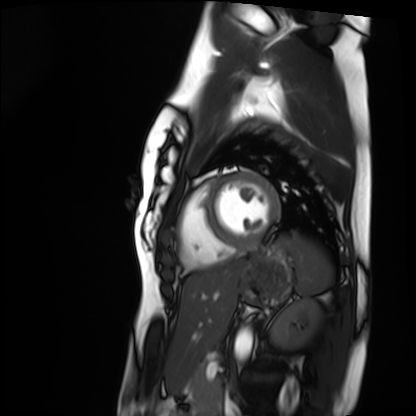
Cardiac MRI. Subject group: healthy volunteer.